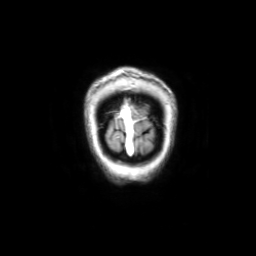
Q: What kind of scan is this?
A: 3 Tesla brain MRI.
Study: ring-enhancing brain masses.